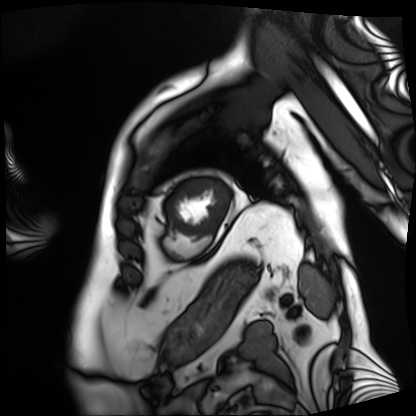
modality: cardiac MRI; subject group: patient.